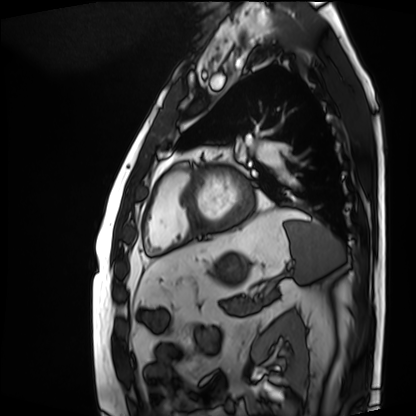
Cardiac MRI. Subject group: patient.